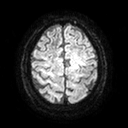
3 Tesla brain MRI. Series: diffusion tensor imaging (medium iso). Study: ring-enhancing brain masses.